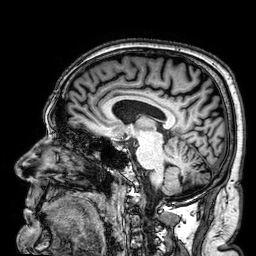
Case summary:
3 Tesla brain MRI. Series: 3D T1-weighted. Study: ring-enhancing brain masses.